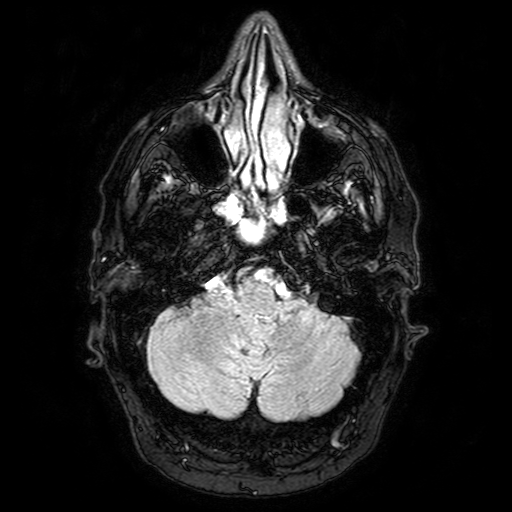
Case summary:
3 Tesla brain MRI. Series: FLAIR with SPAIR. Study: ring-enhancing brain masses.